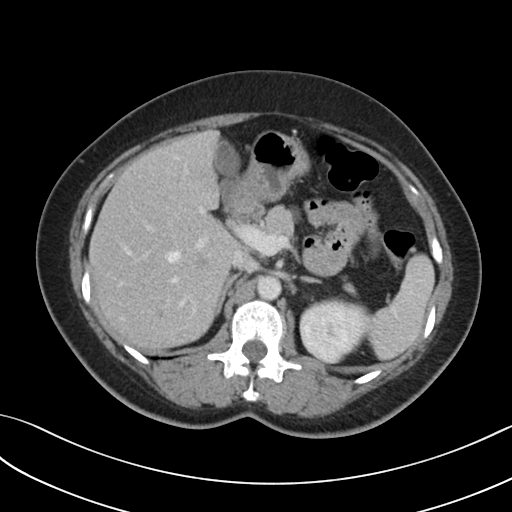
Multiphase abdominal CT, liver, portal venous phase. Patient: female, age 51. History: prior chemotherapy.